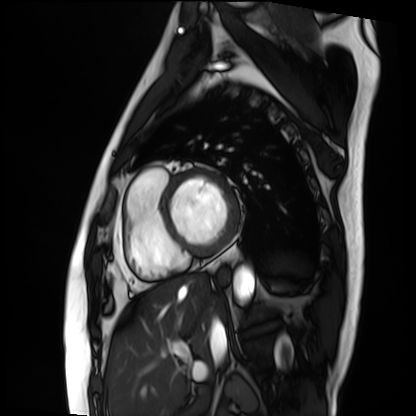
Cardiac MRI. Subject group: patient.